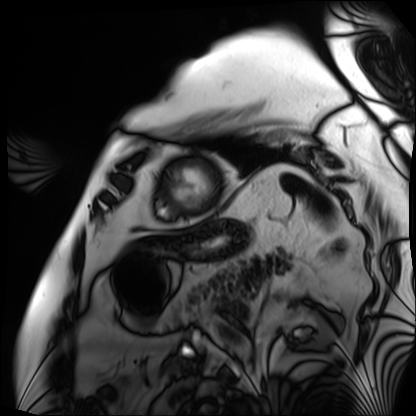
modality: cardiac MRI | subject group: patient.